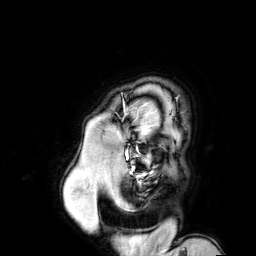
3 Tesla brain MRI. Series: 3D T1-weighted turbo field echo with SENSE. Study: ring-enhancing brain masses.